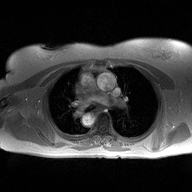
2D phase-contrast cine MRI of the ascending aorta, high-resolution GRAPPA acquisition.